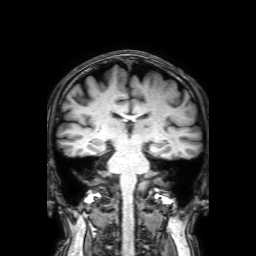
{
  "modality": {
    "type": "brain MRI",
    "field_strength": "3T"
  },
  "series": "3D T1-weighted with SENSE",
  "study_topic": "ring-enhancing brain masses"
}